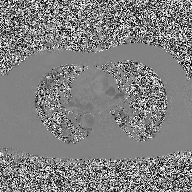
modality: 2D phase-contrast cine MRI of the ascending aorta